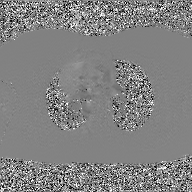
Summary:
2D phase-contrast cine MRI of the ascending aorta, GAN super-resolution reconstruction.